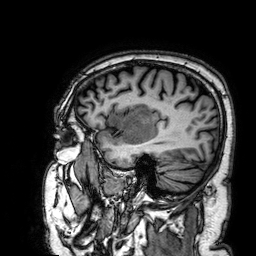
– modality — 3 Tesla brain MRI
– study — ring-enhancing brain masses